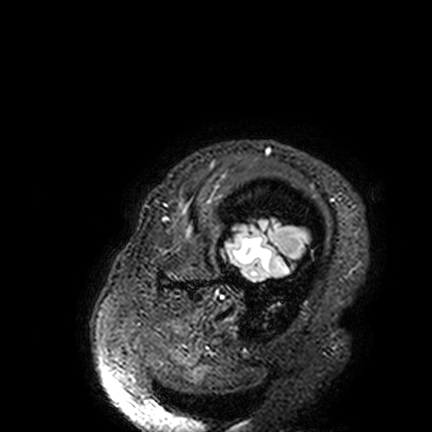
Summary:
3 Tesla brain MRI. Series: FLAIR VISTA. Study: ring-enhancing brain masses.